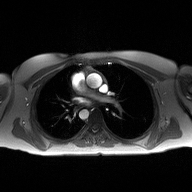
2D phase-contrast cine MRI of the ascending aorta, high-resolution GRAPPA acquisition.